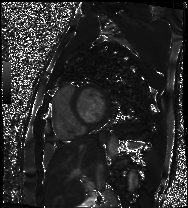
Q: What kind of scan is this?
A: Cardiac MRI.
Subject group: patient.